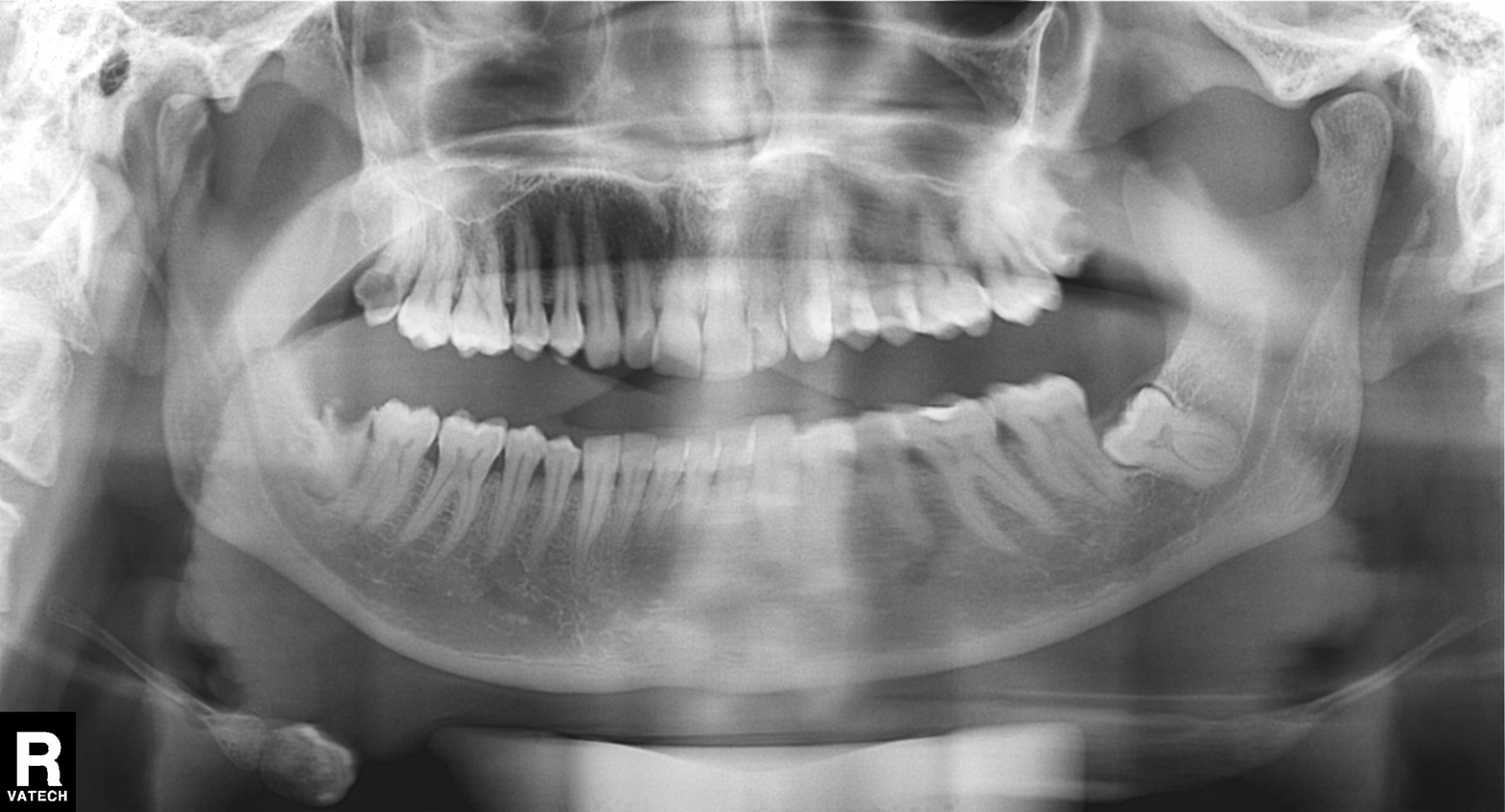
modality = panoramic dental radiograph (orthopantomogram), finding = alveolar bone loss.